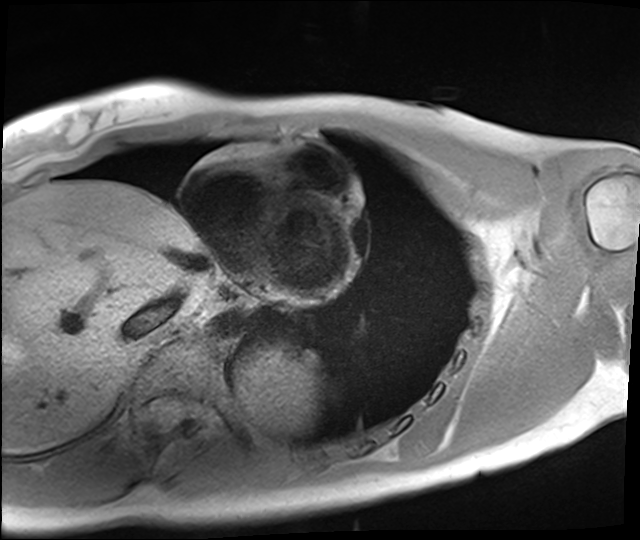
modality — cardiac MRI
subject group — healthy volunteer